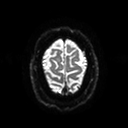
Summary:
3 Tesla brain MRI. Study: ring-enhancing brain masses.